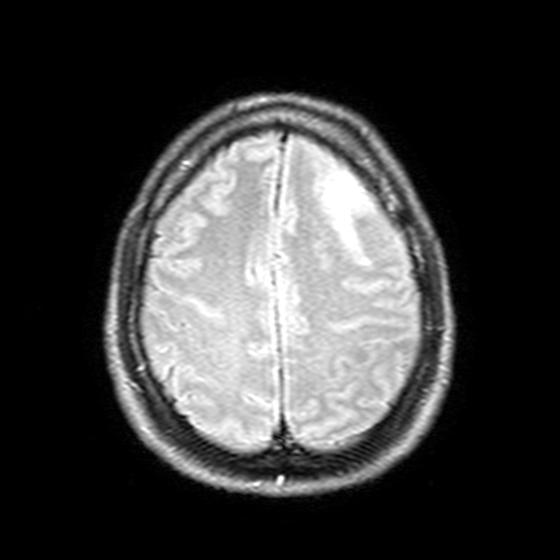
3 Tesla brain MRI. Series: T2-weighted FLAIR. Study: ring-enhancing brain masses.